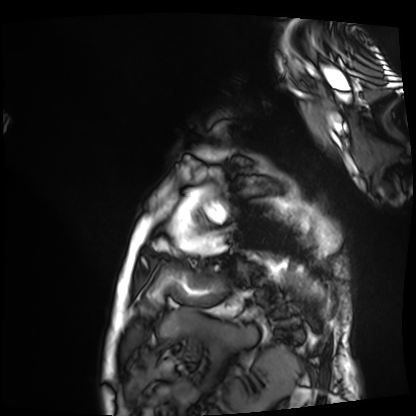
* modality · cardiac MRI
* subject group · patient